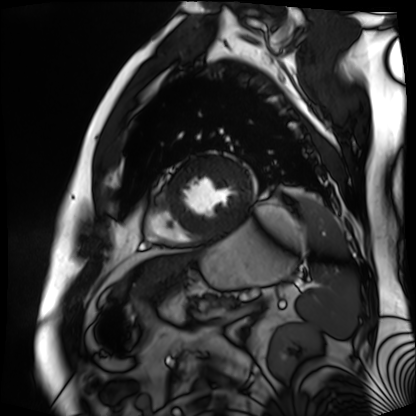
Cardiac MR image of the myocardium.
Subject cohort: cardiac patient.